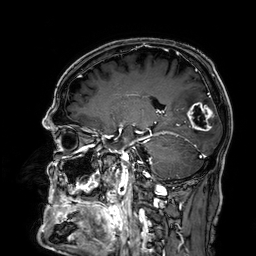
{
  "modality": {
    "type": "brain MRI",
    "field_strength": "3T"
  },
  "series": "3D T1-weighted",
  "study_topic": "ring-enhancing brain masses"
}